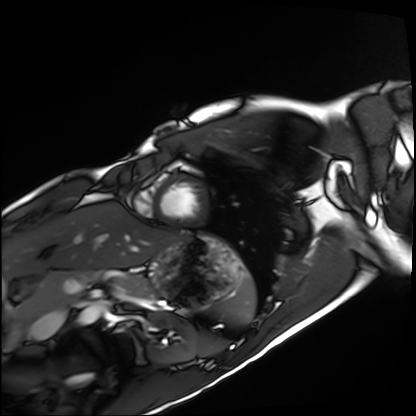
modality: cardiac MRI
cohort: healthy volunteer